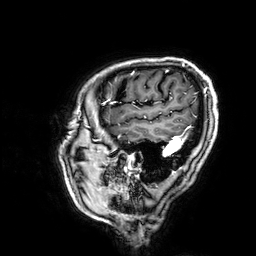
3 Tesla brain MRI. Series: 3D T1-weighted. Study: ring-enhancing brain masses.